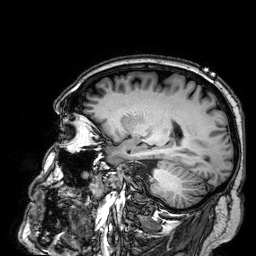
Case summary: 3 Tesla brain MRI. Series: 3D T1-weighted. Study: ring-enhancing brain masses.